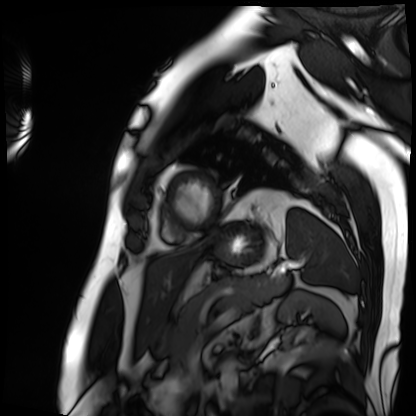
<case>
  <modality>cardiac MRI</modality>
  <cohort>patient</cohort>
</case>